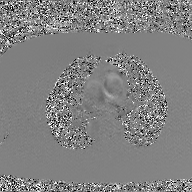
modality:
  type: 2D phase-contrast cine MRI
  region: ascending aorta
  reconstruction: GAN super-resolution reconstruction